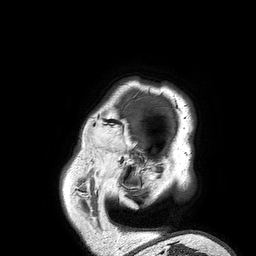
modality — 3 Tesla brain MRI
series — 3D T1-weighted turbo field echo
study — ring-enhancing brain masses